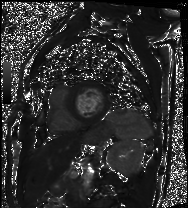
Cardiac MRI. Subject group: patient.